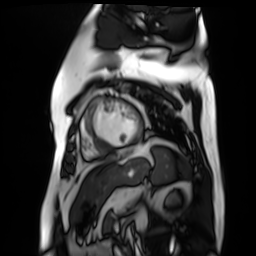
modality: cardiac MR image of the myocardium; subject cohort: cardiac patient.